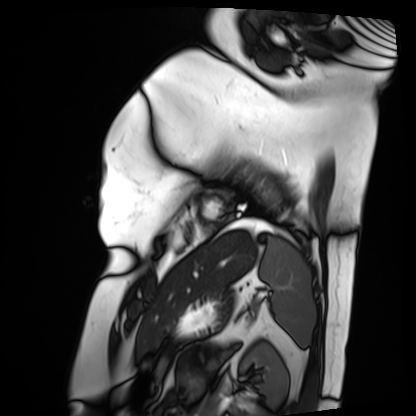
Cardiac MRI.
Subject group: patient.